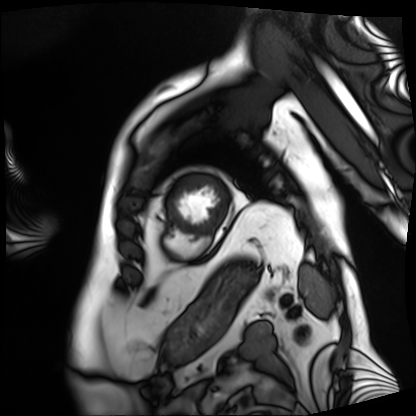
Cardiac MRI.
Subject group: patient.